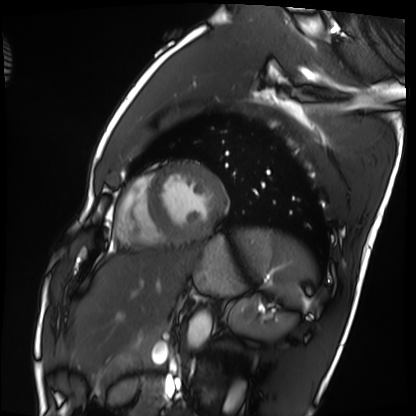
– modality — cardiac MRI
– subject group — healthy volunteer